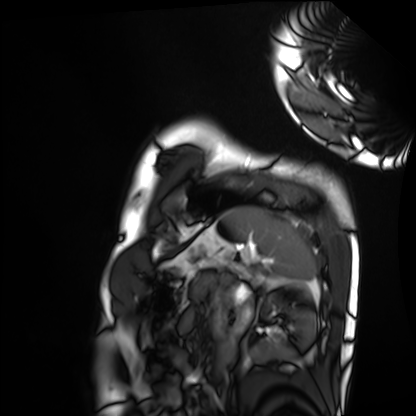
Q: What kind of scan is this?
A: Cardiac MRI.
Subject group: healthy volunteer.